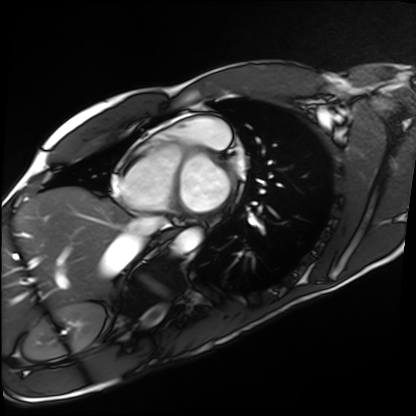
Case:
• modality — cardiac MRI
• subject group — healthy volunteer